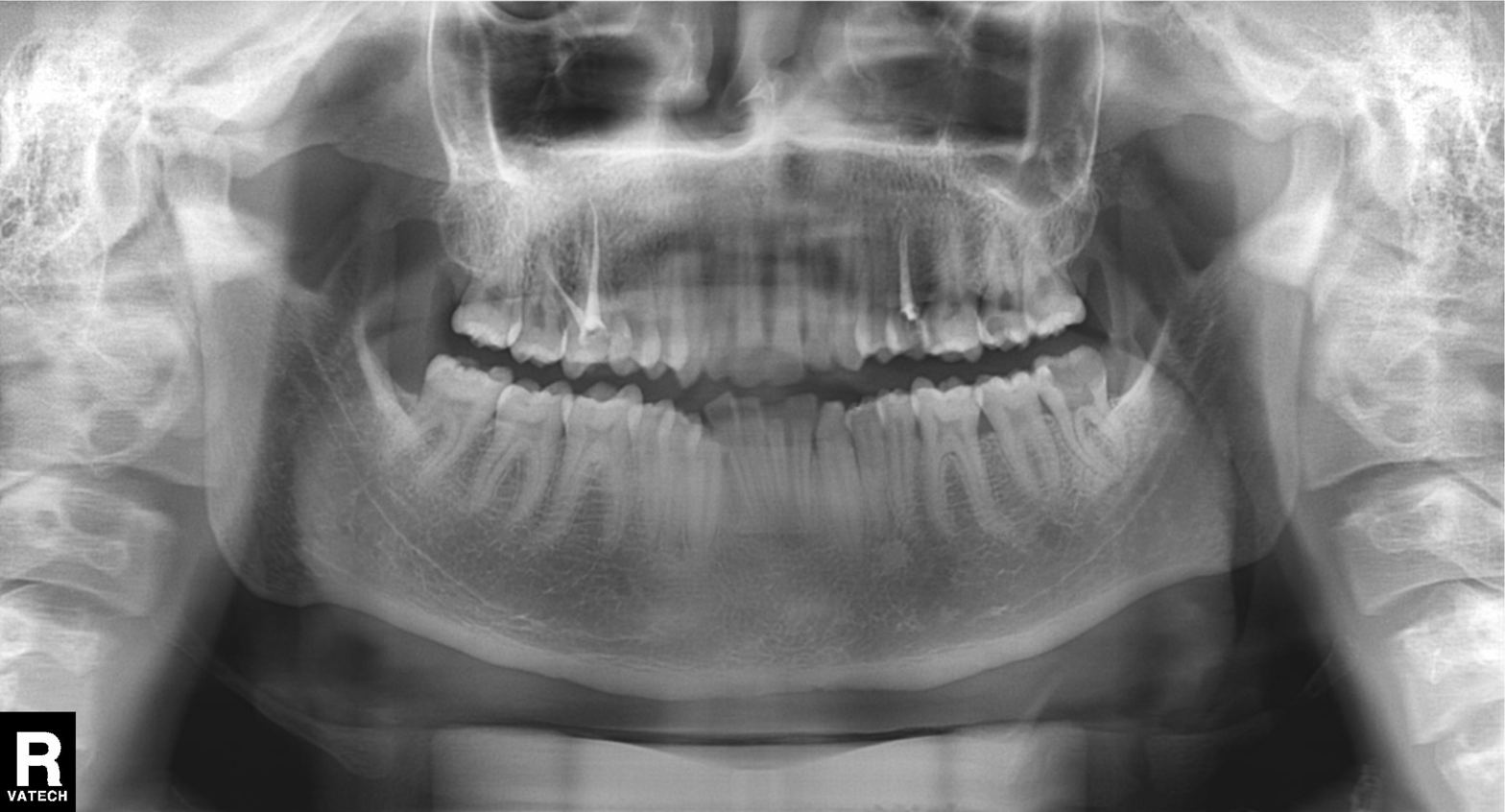
Case summary:
Panoramic dental radiograph (orthopantomogram).
Diagnosis:
Alveolar bone loss.